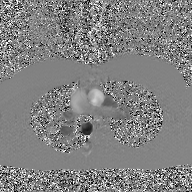
2D phase-contrast cine MRI of the ascending aorta, GAN super-resolution reconstruction.